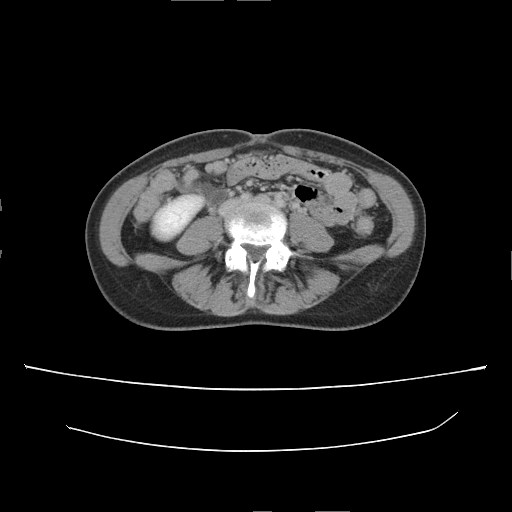
Summary: Multiphase abdominal CT, liver, delayed phase. Patient: female, age 35.